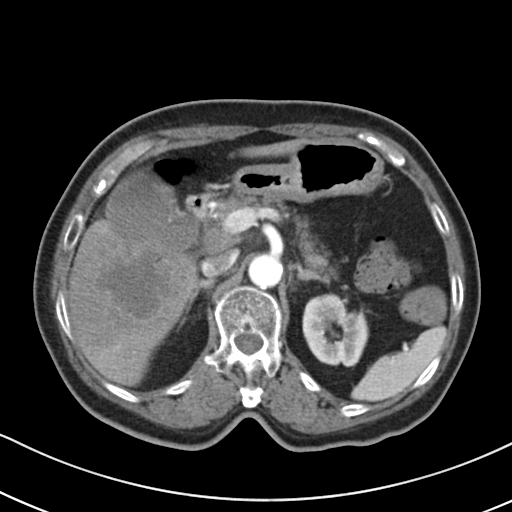
Multiphase abdominal CT, liver, arterial phase.
Patient: female, age 72.